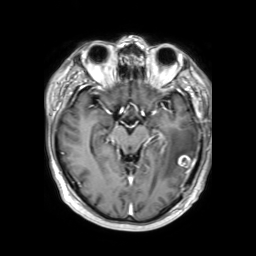
- modality: 3 Tesla brain MRI
- series: 3D T1-weighted TFE with SENSE
- study: ring-enhancing brain masses